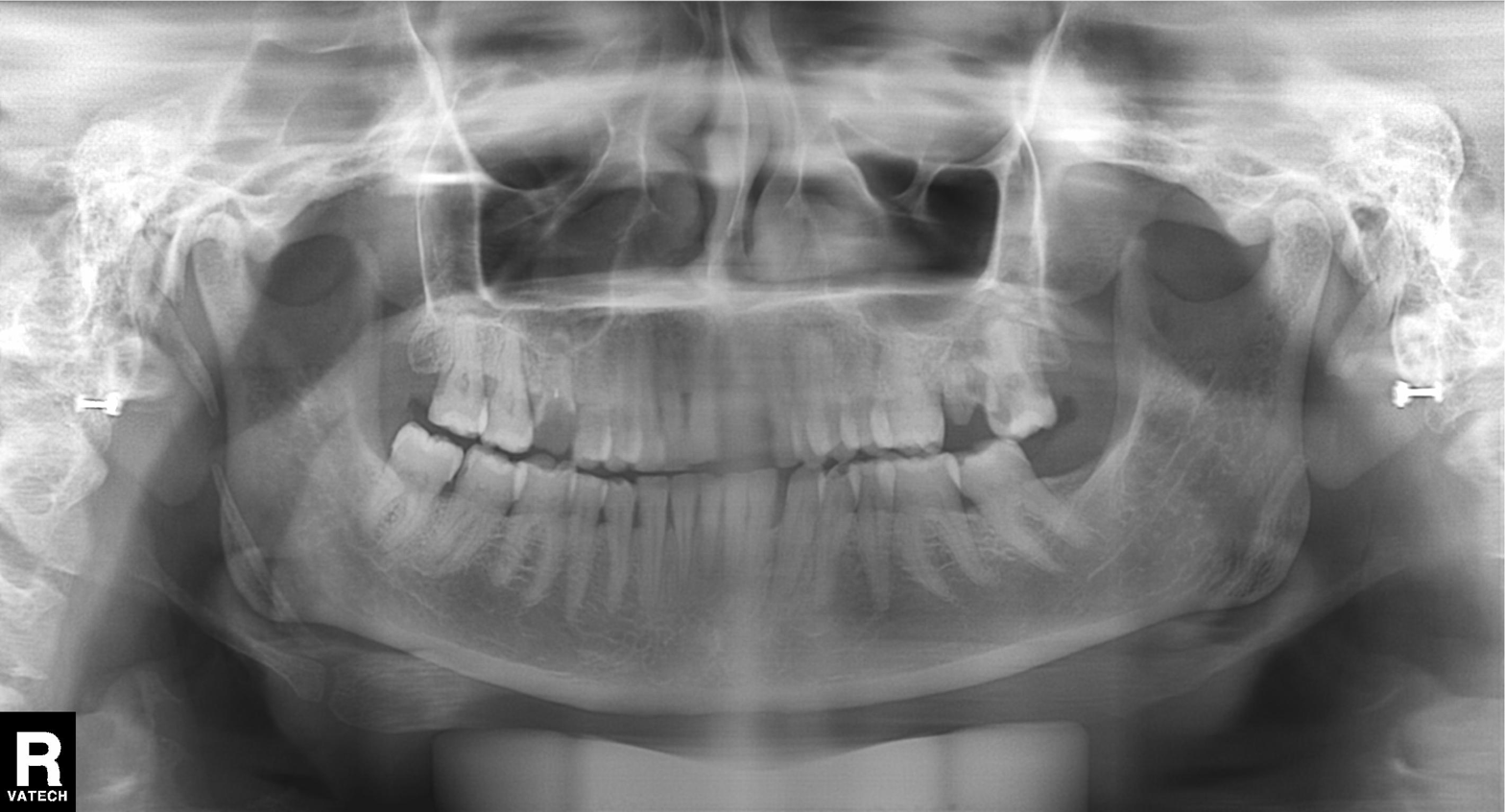
Panoramic dental radiograph (orthopantomogram).
Finding: alveolar bone loss.